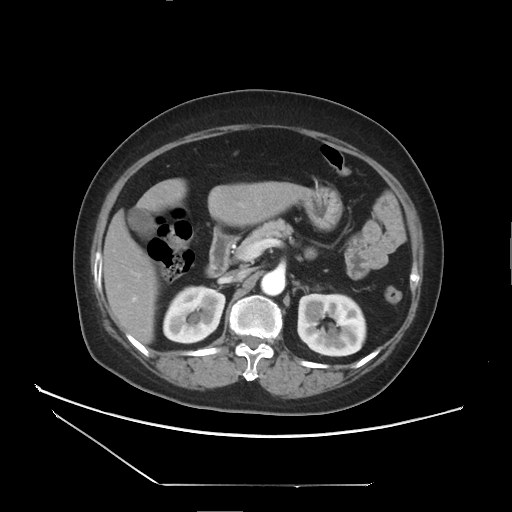
Q: What kind of scan is this?
A: Multiphase abdominal CT, liver, arterial phase.
Q: Patient?
A: Female, age 61.
Q: History?
A: Viral hepatitis.